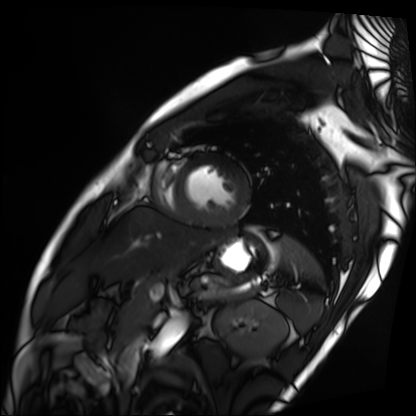
Cardiac MRI. Subject group: patient.